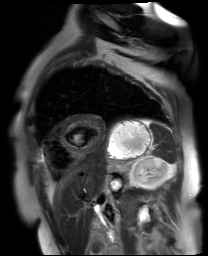
{"modality": "cardiac MR image of the myocardium", "cohort": "cardiac patient"}